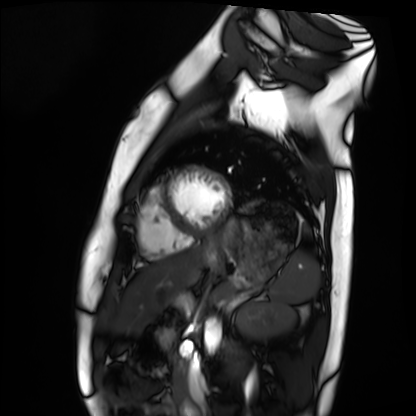
- modality — cardiac MRI
- subject group — healthy volunteer